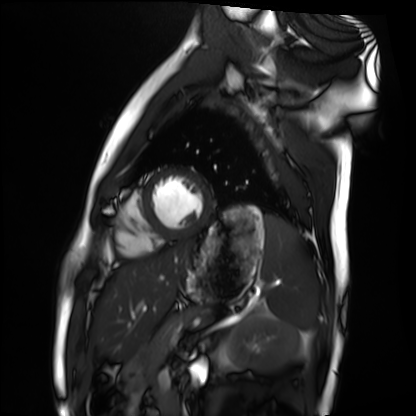
Summary:
Cardiac MRI. Subject group: healthy volunteer.